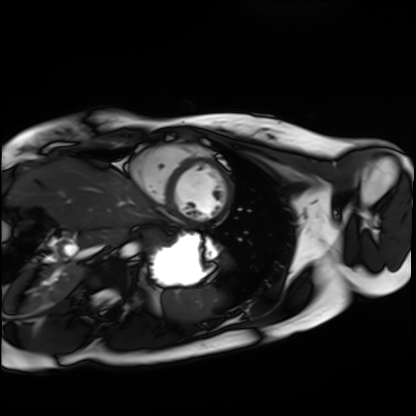
Cardiac MRI. Subject group: healthy volunteer.